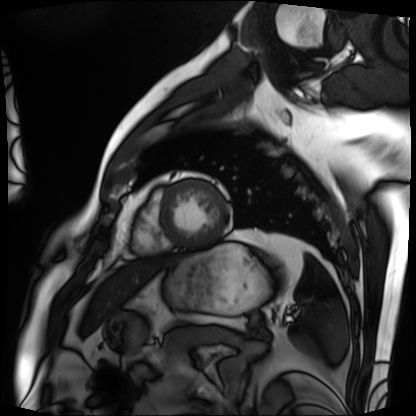
modality = cardiac MRI | subject group = patient.